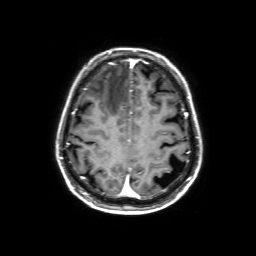
3 Tesla brain MRI.
Study: ring-enhancing brain masses.